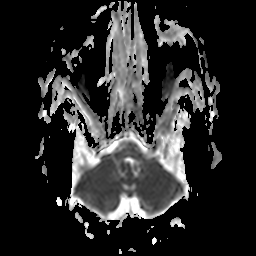
  modality:
    type: brain MRI
    field_strength: 3T
  series: apparent diffusion coefficient (ADC) map
  study_topic: ring-enhancing brain masses